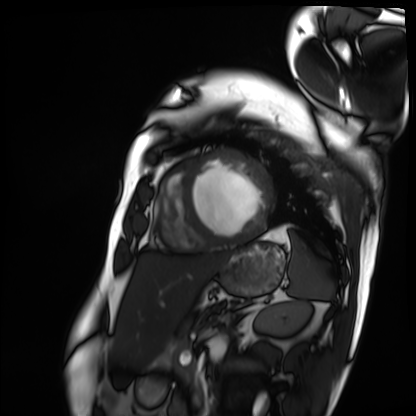
modality: cardiac MRI
cohort: patient